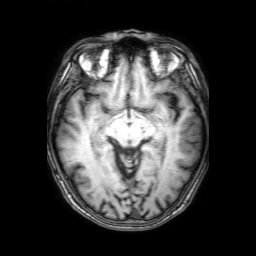
Q: What kind of scan is this?
A: 3 Tesla brain MRI.
Q: Series?
A: 3D T1-weighted with SENSE.
Study: ring-enhancing brain masses.